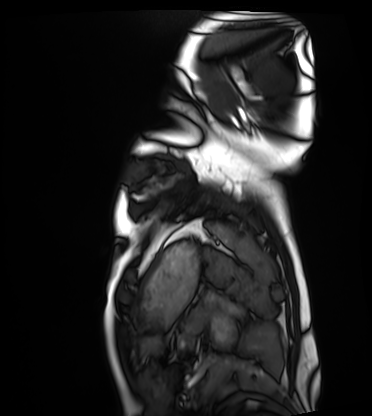
Summary: Cardiac MRI. Subject group: healthy volunteer.